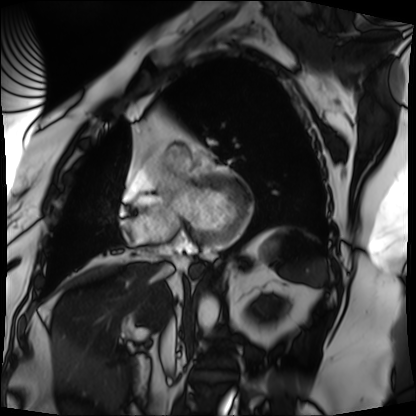
{"modality": "cardiac MRI", "cohort": "patient"}